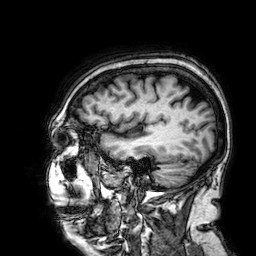
Summary:
3 Tesla brain MRI. Series: 3D T1-weighted. Study: ring-enhancing brain masses.